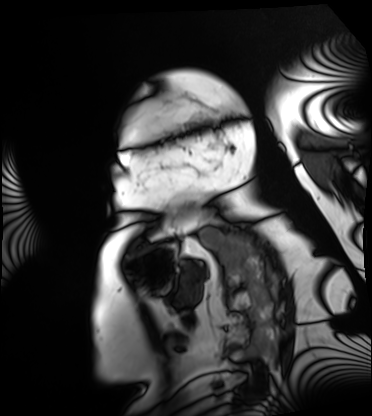
Cardiac MRI. Subject group: patient.